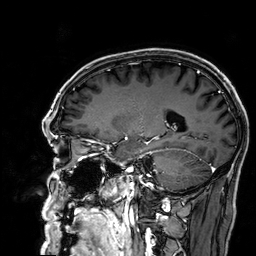
modality:
  type: brain MRI
  field_strength: 3T
series: 3D T1-weighted
study_topic: ring-enhancing brain masses